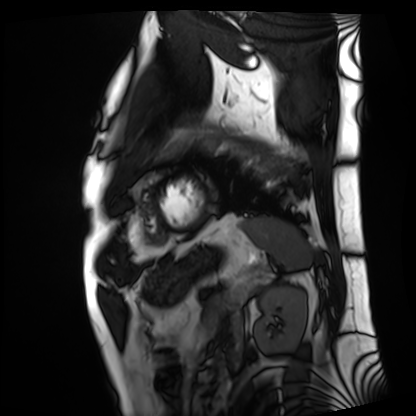
Cardiac MRI. Subject group: patient.